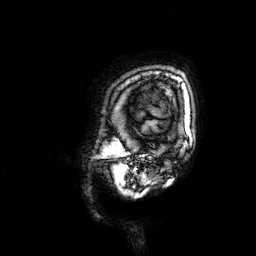
Case summary: 3 Tesla brain MRI. Series: 3D T1-weighted. Study: ring-enhancing brain masses.